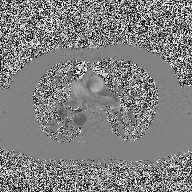
Clinical context: 2D phase-contrast cine MRI of the ascending aorta, high-resolution GRAPPA acquisition.